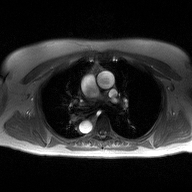
<scan>
  <modality>
    <type>2D phase-contrast cine MRI</type>
    <region>ascending aorta</region>
    <reconstruction>high-resolution GRAPPA acquisition</reconstruction>
  </modality>
</scan>